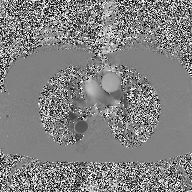
2D phase-contrast cine MRI of the ascending aorta, high-resolution GRAPPA acquisition.